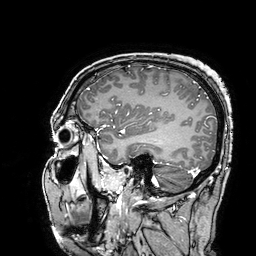
Case:
• modality · 3 Tesla brain MRI
• series · 3D T1-weighted turbo field echo with SENSE
• study · ring-enhancing brain masses